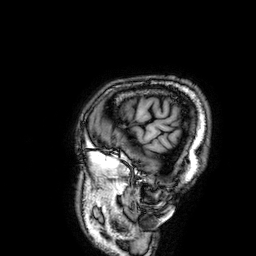
modality: 3 Tesla brain MRI
series: 3D T1-weighted
study: ring-enhancing brain masses